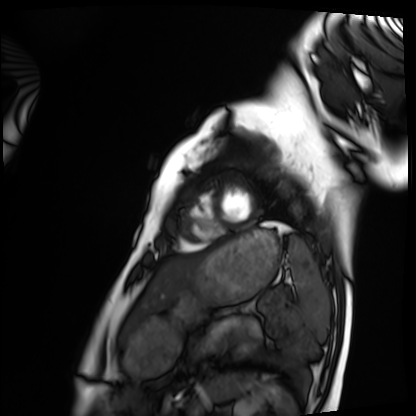
Case:
– modality: cardiac MRI
– subject group: healthy volunteer